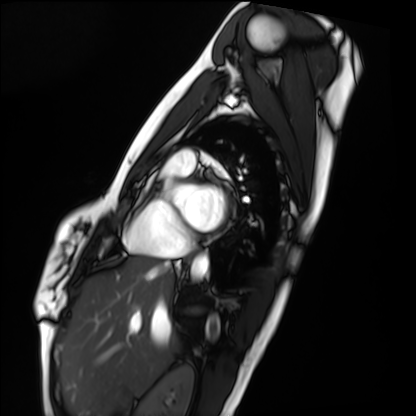
Cardiac MRI. Subject group: healthy volunteer.